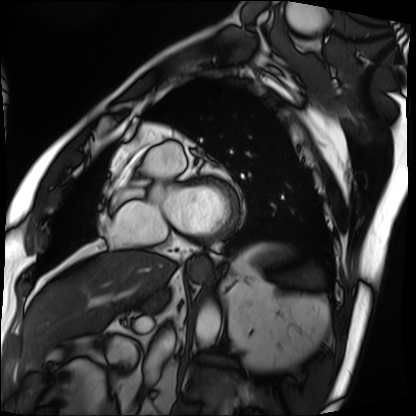
| field | value |
|---|---|
| modality | cardiac MRI |
| subject group | patient |